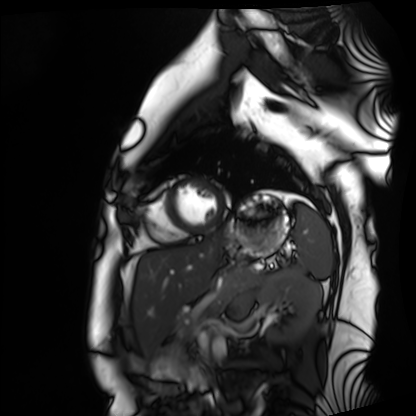
Summary:
Cardiac MRI. Subject group: healthy volunteer.